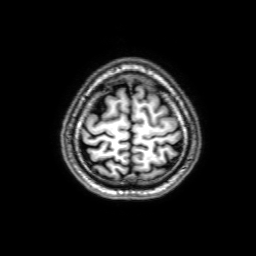
modality:
  type: brain MRI
  field_strength: 3T
series: 3D T1-weighted with SENSE
study_topic: ring-enhancing brain masses